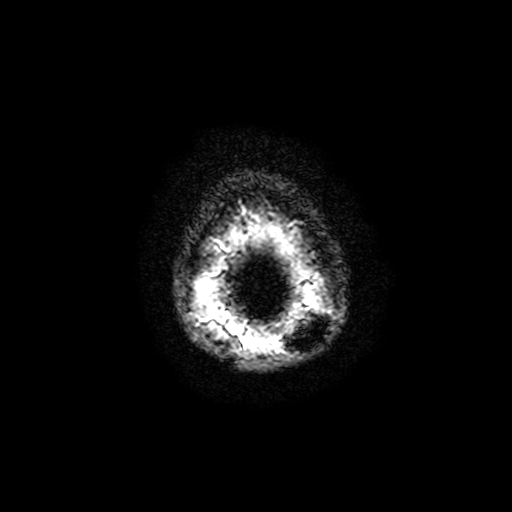
Case summary:
3 Tesla brain MRI. Series: T2-weighted fast field echo with SENSE. Study: ring-enhancing brain masses.